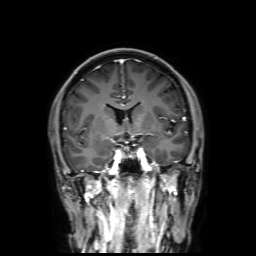
Summary: 3 Tesla brain MRI. Series: 3D T1-weighted with SENSE. Study: ring-enhancing brain masses.